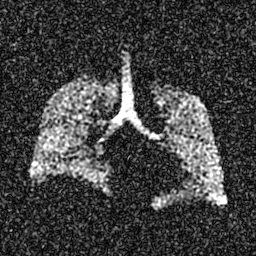
Summary:
Hyperpolarized 129Xe ventilation MRI of the lungs. SNR level 5 of 8 (the deposit holds this scan as its native image and as seven SNR-degraded versions).